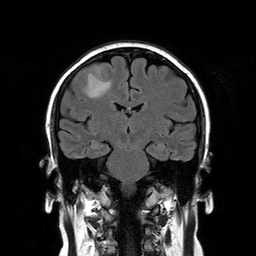
3 Tesla brain MRI. Series: T2-weighted FLAIR. Study: ring-enhancing brain masses.